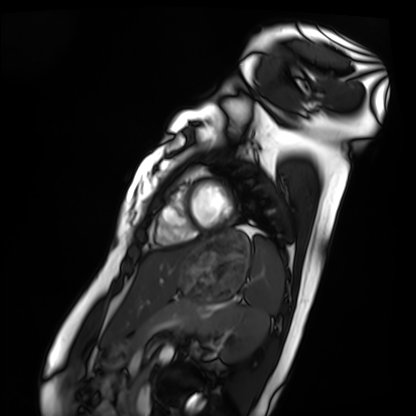
modality — cardiac MRI | subject group — healthy volunteer.